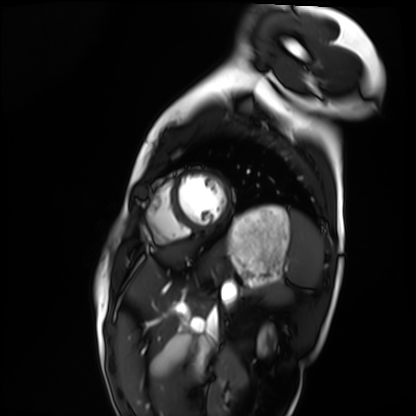
Clinical context: Cardiac MRI. Subject group: healthy volunteer.